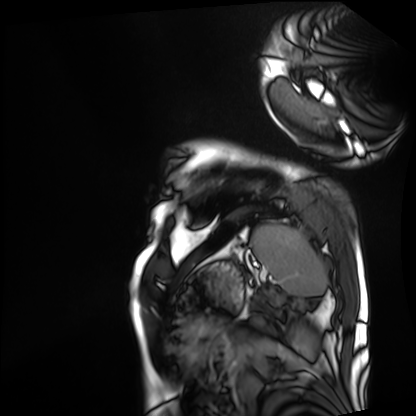
Q: What kind of scan is this?
A: Cardiac MRI.
Subject group: patient.